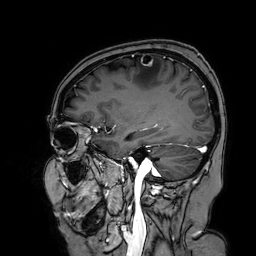
3 Tesla brain MRI.
Series: 3D T1-weighted turbo field echo with SENSE.
Study: ring-enhancing brain masses.